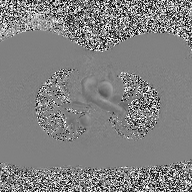
Case:
• modality — 2D phase-contrast cine MRI of the ascending aorta